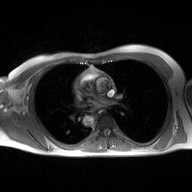
modality: 2D phase-contrast cine MRI of the ascending aorta.